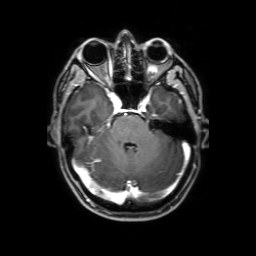
3 Tesla brain MRI.
Series: 3D T1-weighted with SENSE.
Study: ring-enhancing brain masses.